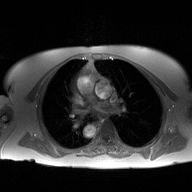
Case:
• modality · 2D phase-contrast cine MRI of the ascending aorta